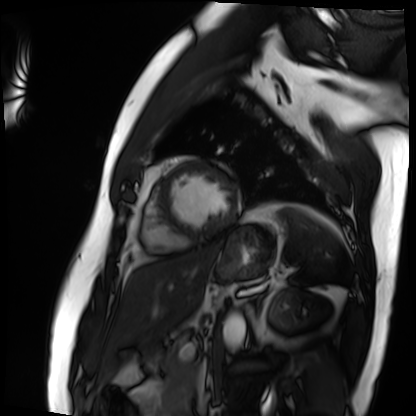
Q: What kind of scan is this?
A: Cardiac MRI.
Subject group: patient.